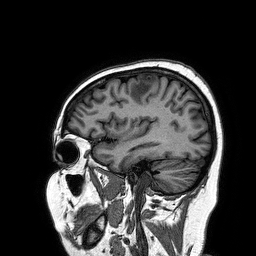
Q: What kind of scan is this?
A: 3 Tesla brain MRI.
Q: Series?
A: 3D T1-weighted turbo field echo.
Study: ring-enhancing brain masses.